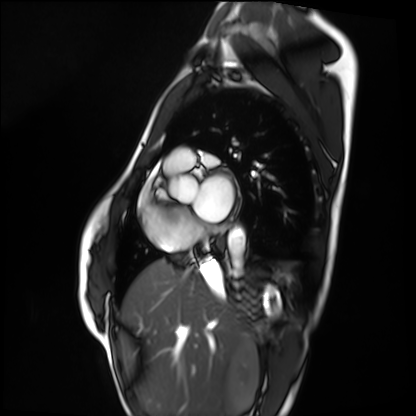
| field | value |
|---|---|
| modality | cardiac MRI |
| subject group | healthy volunteer |